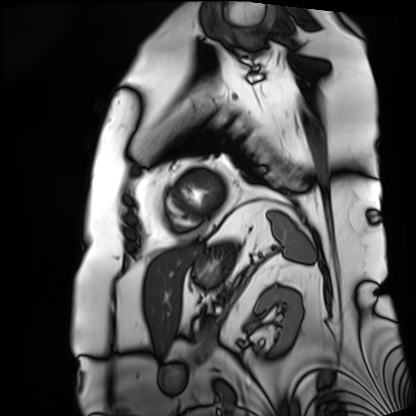
Clinical context: Cardiac MRI. Subject group: patient.